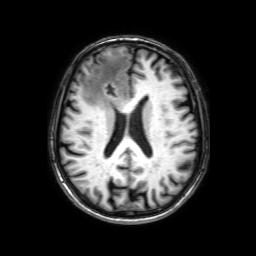
| field | value |
|---|---|
| modality | 3 Tesla brain MRI |
| series | 3D T1-weighted with SENSE |
| study | ring-enhancing brain masses |